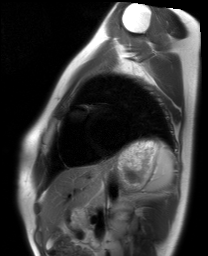
Case summary:
Cardiac MRI. Subject group: healthy volunteer.